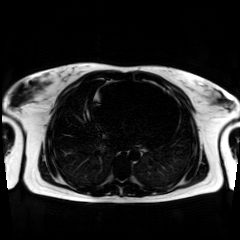
Case summary: Chemical-shift-encoded cardiac MRI.